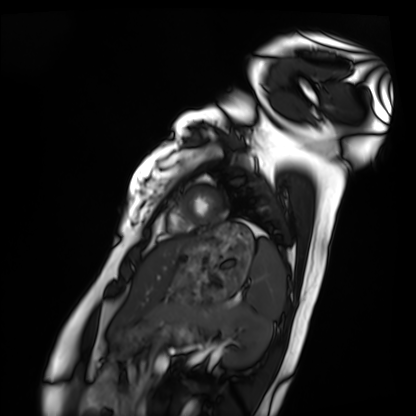
modality: cardiac MRI
subject group: healthy volunteer